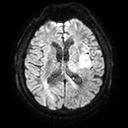
Q: What kind of scan is this?
A: 3 Tesla brain MRI.
Q: Series?
A: Diffusion tensor imaging (medium iso).
Study: ring-enhancing brain masses.